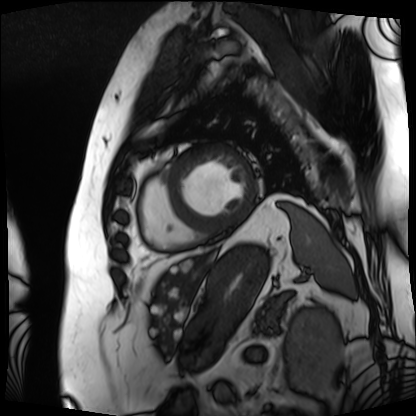
modality — cardiac MRI | subject group — patient.